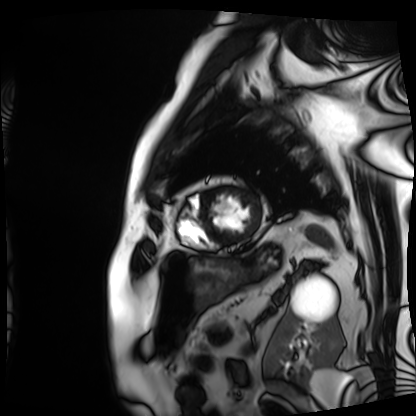
Summary: Cardiac MRI. Subject group: patient.